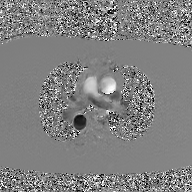
{
  "modality": {
    "type": "2D phase-contrast cine MRI",
    "region": "ascending aorta",
    "reconstruction": "GAN super-resolution reconstruction"
  }
}